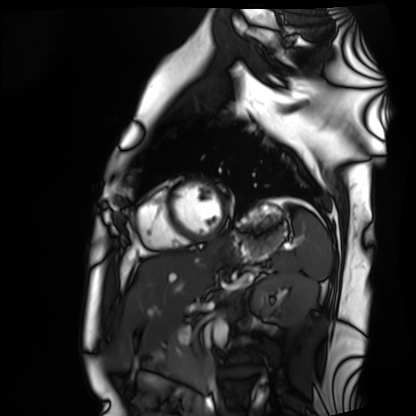
| field | value |
|---|---|
| modality | cardiac MRI |
| subject group | healthy volunteer |